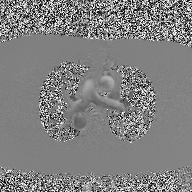
Case summary:
2D phase-contrast cine MRI of the ascending aorta, high-resolution GRAPPA acquisition.